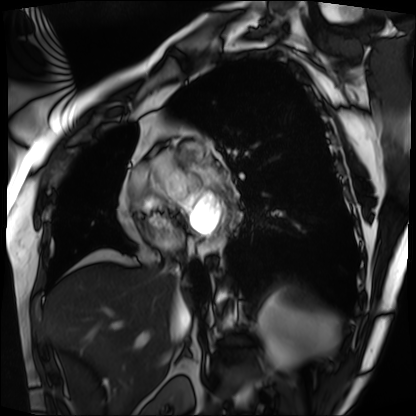
Summary:
Cardiac MRI. Subject group: patient.